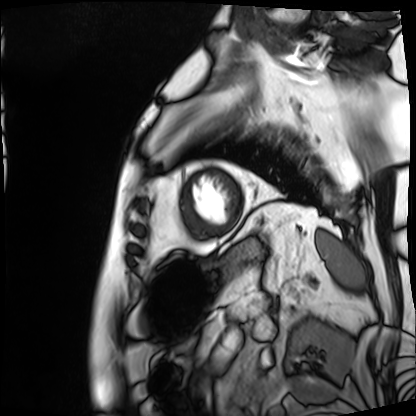
Case summary:
Cardiac MRI. Subject group: patient.